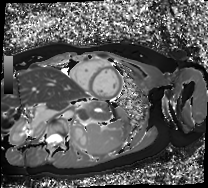
Cardiac MR image of the myocardium.
Subject cohort: healthy volunteer.